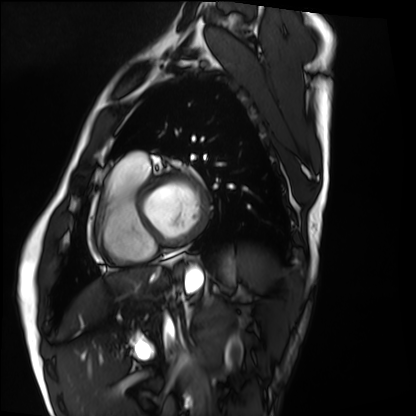
modality=cardiac MRI
subject group=healthy volunteer